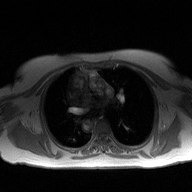
modality=2D phase-contrast cine MRI of the ascending aorta.